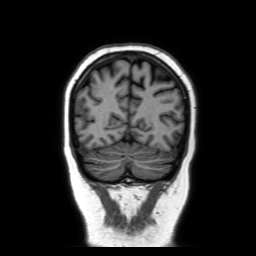
Summary: 3 Tesla brain MRI. Series: coronal without contrast. Study: ring-enhancing brain masses.